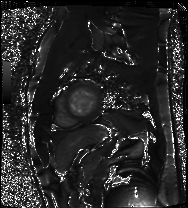
Clinical context: Cardiac MRI. Subject group: patient.